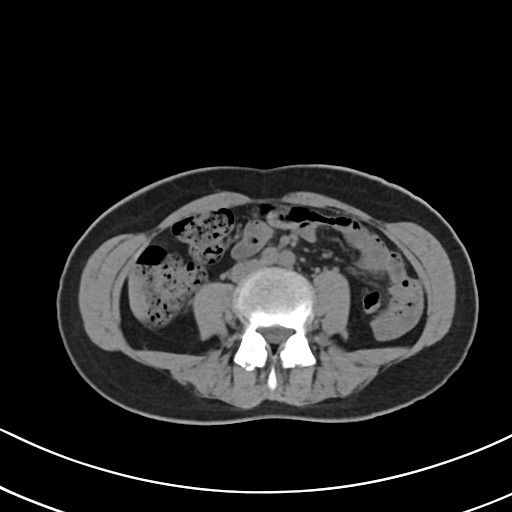
modality = multiphase abdominal CT, liver, non-contrast phase.